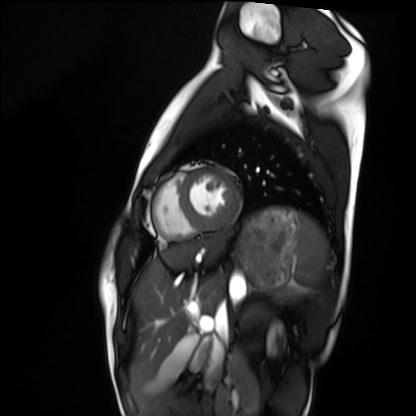
Cardiac MRI.
Subject group: healthy volunteer.